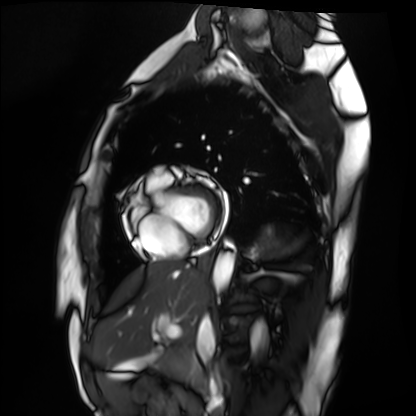
Cardiac MRI.
Subject group: healthy volunteer.